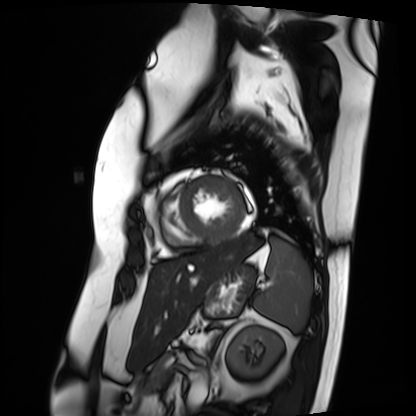
Case summary:
Cardiac MRI. Subject group: patient.